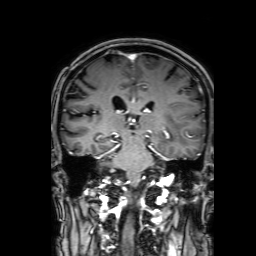
{"modality": {"type": "brain MRI", "field_strength": "3T"}, "series": "3D T1-weighted with SENSE", "study_topic": "ring-enhancing brain masses"}